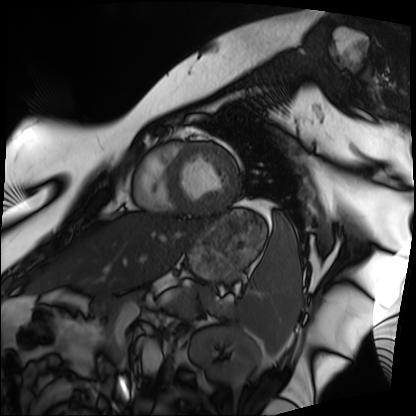
{
  "modality": "cardiac MRI",
  "cohort": "patient"
}